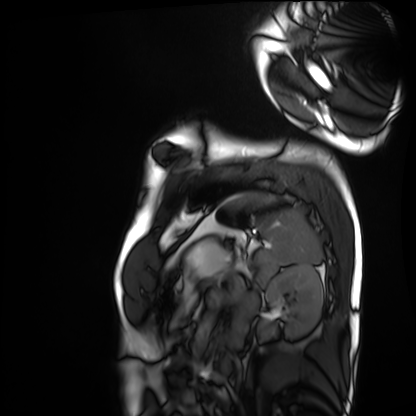
Clinical context:
Cardiac MRI. Subject group: healthy volunteer.